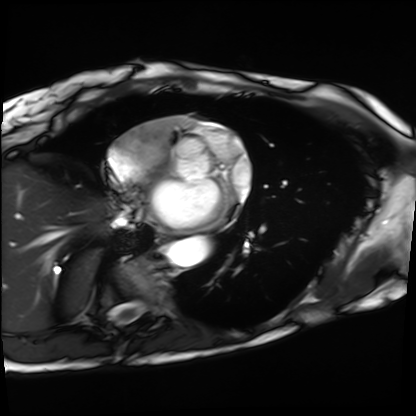
modality: cardiac MRI
subject group: patient